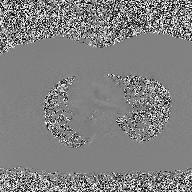
2D phase-contrast cine MRI of the ascending aorta, high-resolution GRAPPA acquisition.